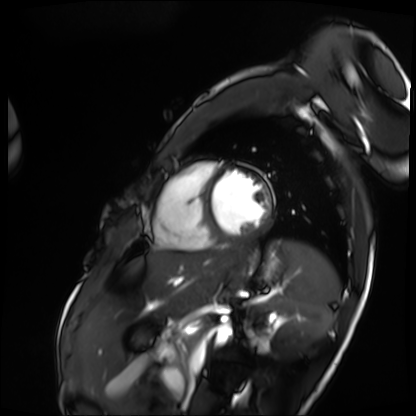
Cardiac MRI. Subject group: patient.